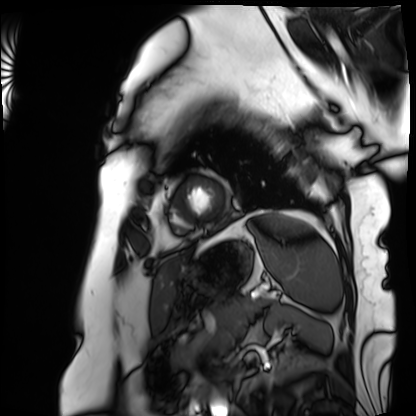
Case:
- modality: cardiac MRI
- subject group: patient